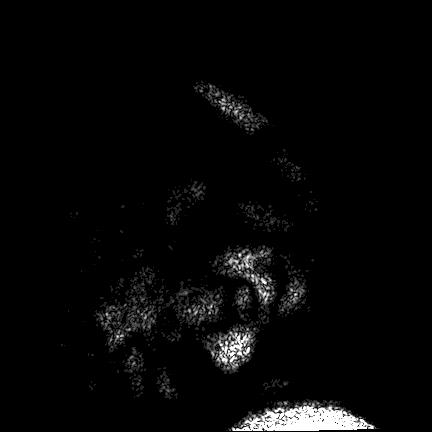
modality = 3 Tesla brain MRI; series = FLAIR VISTA; study = ring-enhancing brain masses.